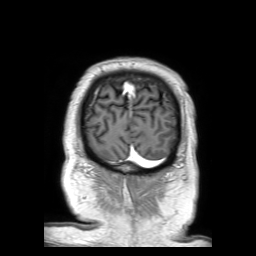
3 Tesla brain MRI. Series: 3D T1-weighted TFE with SENSE. Study: ring-enhancing brain masses.